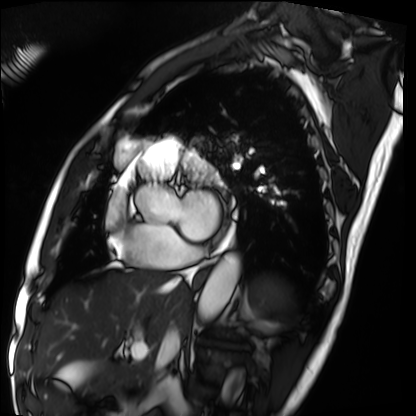
Summary: Cardiac MRI. Subject group: patient.